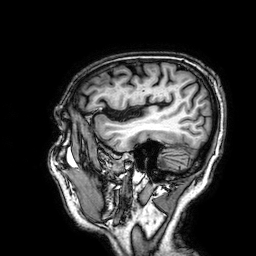
3 Tesla brain MRI. Series: 3D T1-weighted. Study: ring-enhancing brain masses.